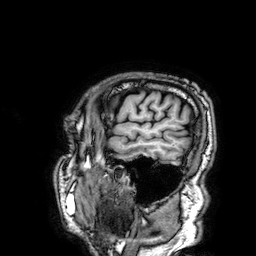
Summary:
3 Tesla brain MRI. Series: 3D T1-weighted. Study: ring-enhancing brain masses.